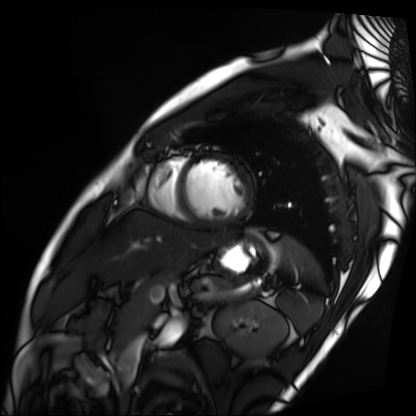
{
  "modality": "cardiac MRI",
  "cohort": "patient"
}